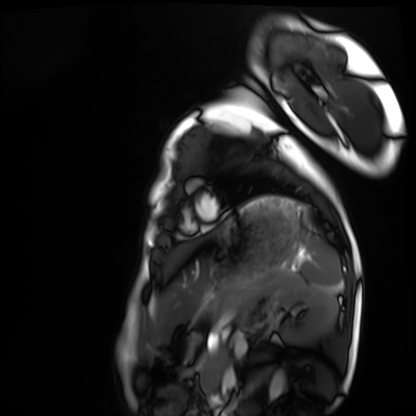
– modality · cardiac MRI
– subject group · healthy volunteer